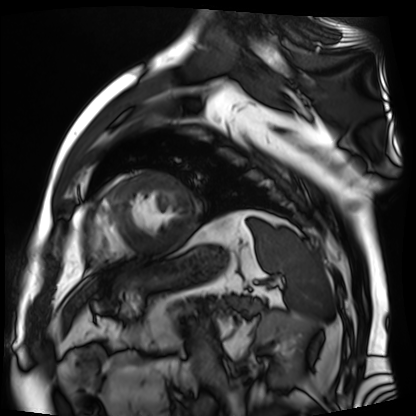
Cardiac MR image of the myocardium. Subject cohort: cardiac patient.